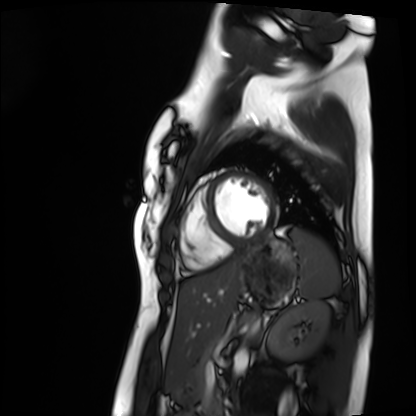
Case summary: Cardiac MRI. Subject group: healthy volunteer.